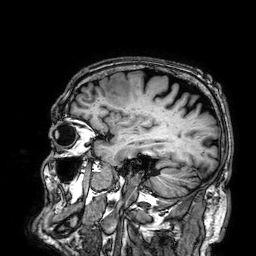
modality: 3 Tesla brain MRI | series: 3D T1-weighted | study: ring-enhancing brain masses.